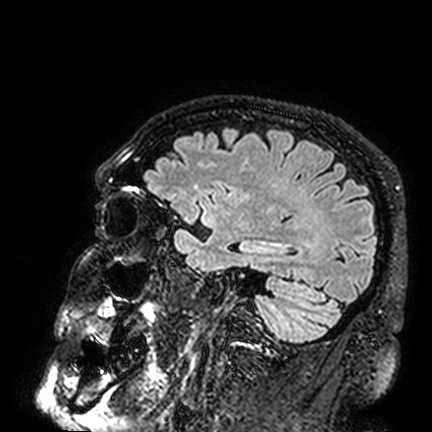
Case summary: 3 Tesla brain MRI. Series: FLAIR VISTA. Study: ring-enhancing brain masses.